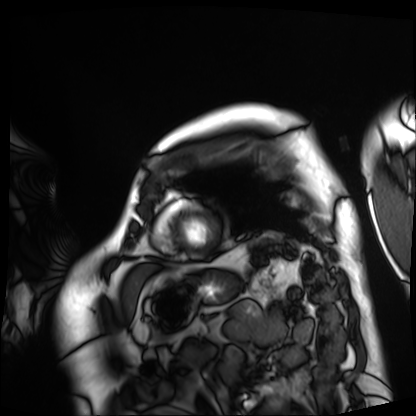
Case:
• modality · cardiac MRI
• subject group · patient